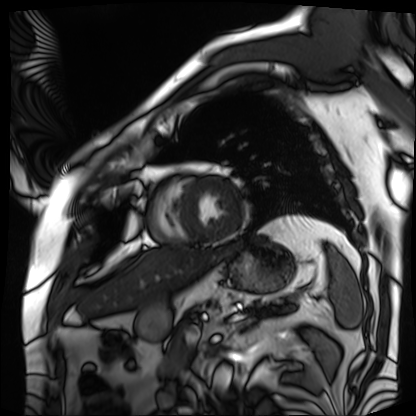
Cardiac MRI. Subject group: patient.